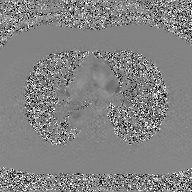
2D phase-contrast cine MRI of the ascending aorta, GAN super-resolution reconstruction.